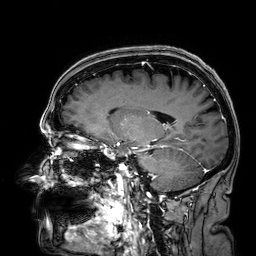
3 Tesla brain MRI.
Series: 3D T1-weighted.
Study: ring-enhancing brain masses.